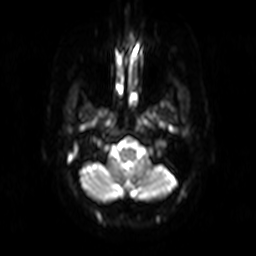
Summary: 3 Tesla brain MRI. Series: diffusion-weighted imaging. Study: ring-enhancing brain masses.